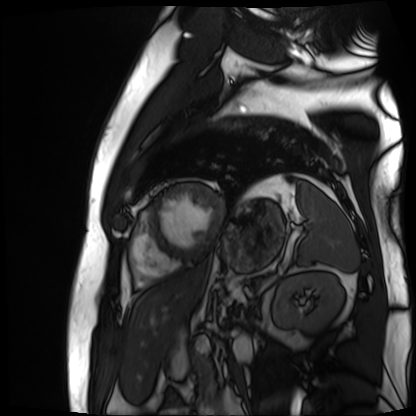
- modality: cardiac MR image of the myocardium
- subject cohort: cardiac patient